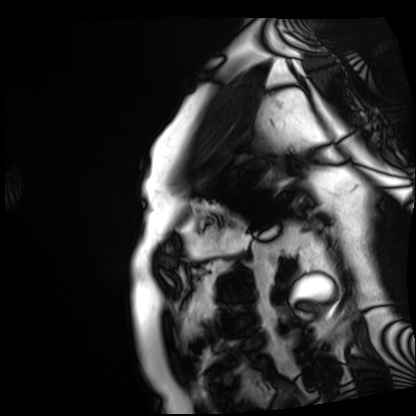
modality = cardiac MRI, subject group = patient.